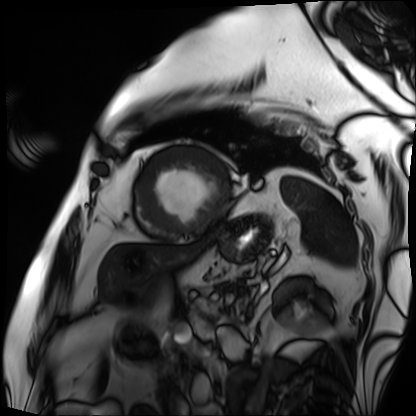
* modality · cardiac MRI
* subject group · patient